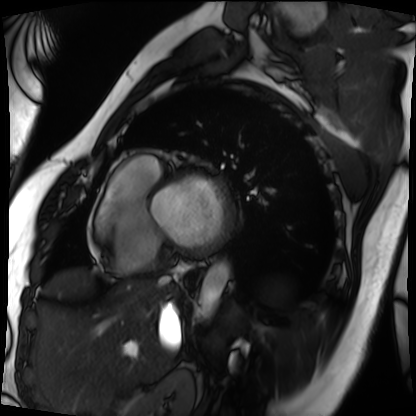
Cardiac MRI.
Subject group: patient.